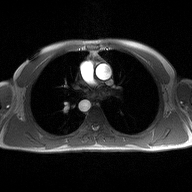
2D phase-contrast cine MRI of the ascending aorta, high-resolution GRAPPA acquisition.